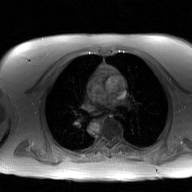
modality=2D phase-contrast cine MRI of the ascending aorta, GAN super-resolution reconstruction.